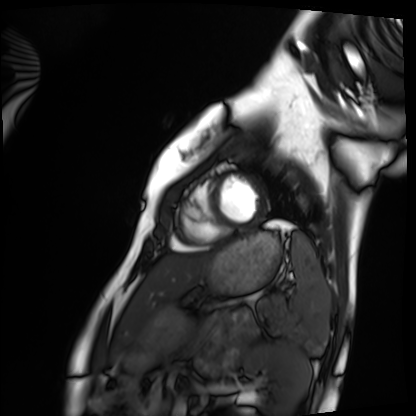
Cardiac MRI.
Subject group: healthy volunteer.